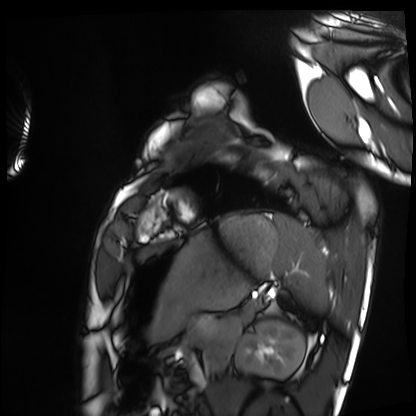
Cardiac MRI.
Subject group: healthy volunteer.